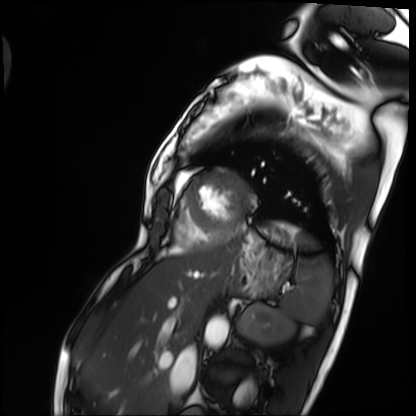
Cardiac MRI. Subject group: patient.